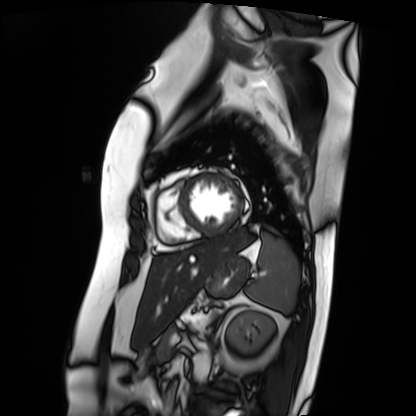
Cardiac MRI. Subject group: patient.